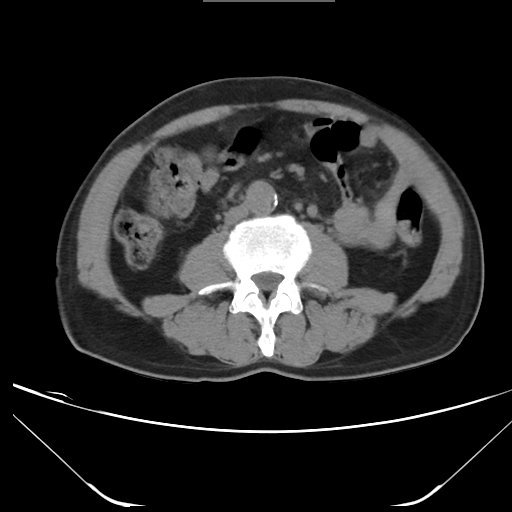
Clinical context: Multiphase abdominal CT, liver, non-contrast phase. Patient: male, age 61.